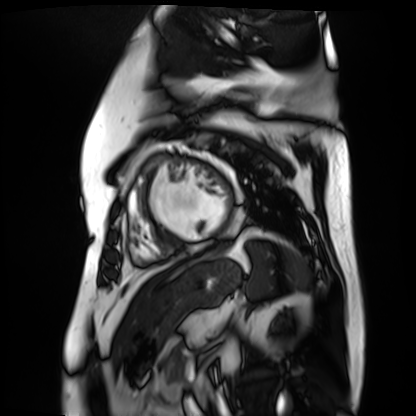
modality: cardiac MR image of the myocardium; subject cohort: cardiac patient.